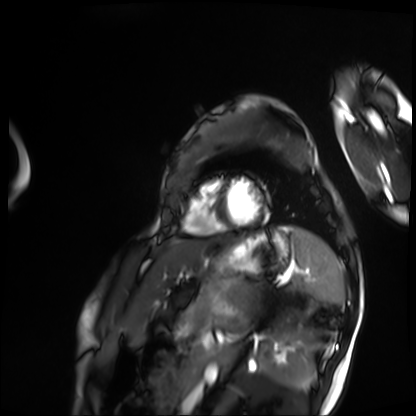
modality = cardiac MRI, subject group = patient.